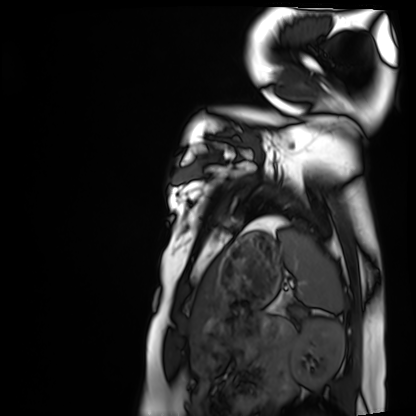
  modality: cardiac MRI
  cohort: healthy volunteer